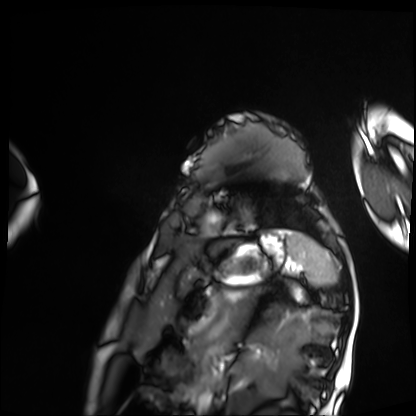
modality: cardiac MRI
cohort: patient